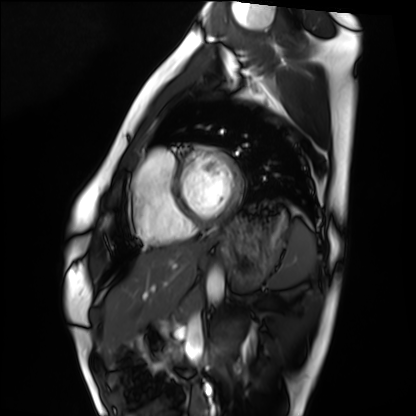
Case summary: Cardiac MRI. Subject group: healthy volunteer.